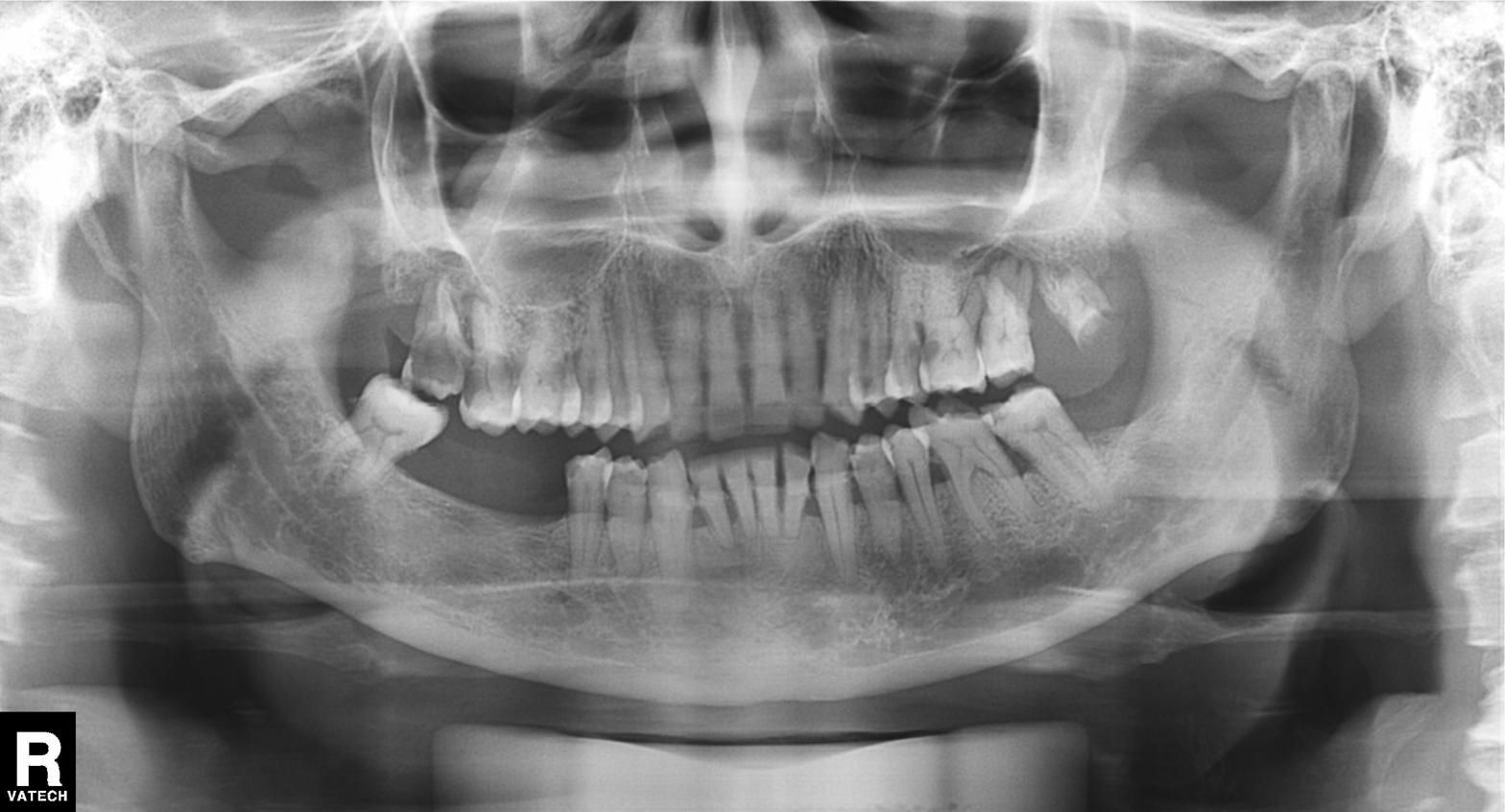
modality: panoramic dental radiograph (orthopantomogram)
finding: dental caries (cavities)